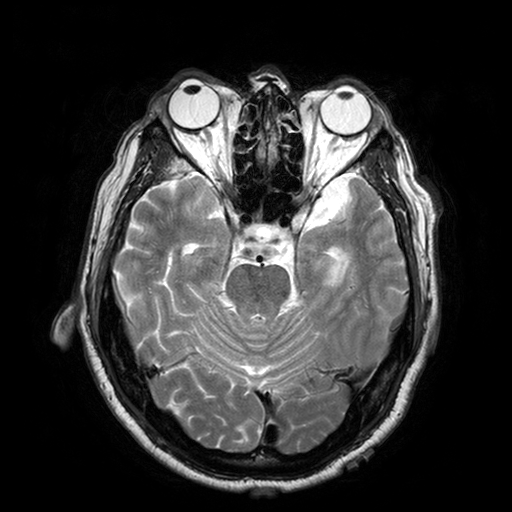
<study>
  <modality>
    <type>brain MRI</type>
    <field_strength>3T</field_strength>
  </modality>
  <series>T2-weighted turbo spin echo with SENSE</series>
  <study_topic>ring-enhancing brain masses</study_topic>
</study>